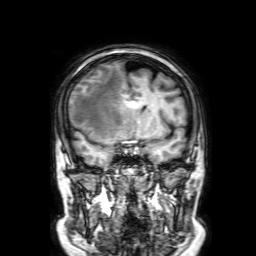
3 Tesla brain MRI. Series: 3D T1-weighted with SENSE. Study: ring-enhancing brain masses.